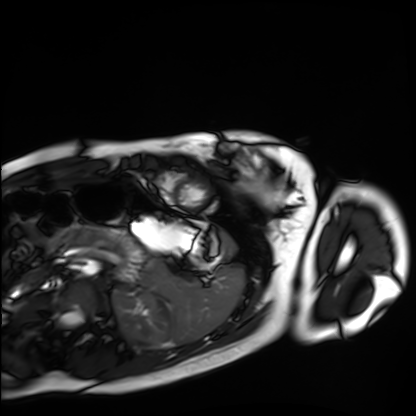
modality: cardiac MRI; subject group: healthy volunteer.